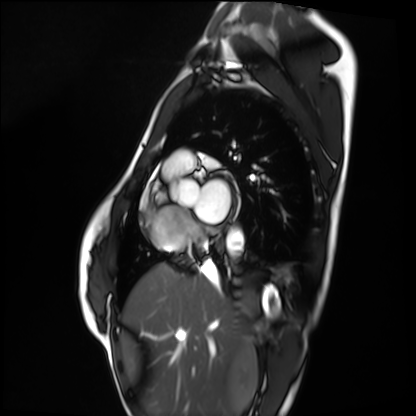
Cardiac MRI. Subject group: healthy volunteer.